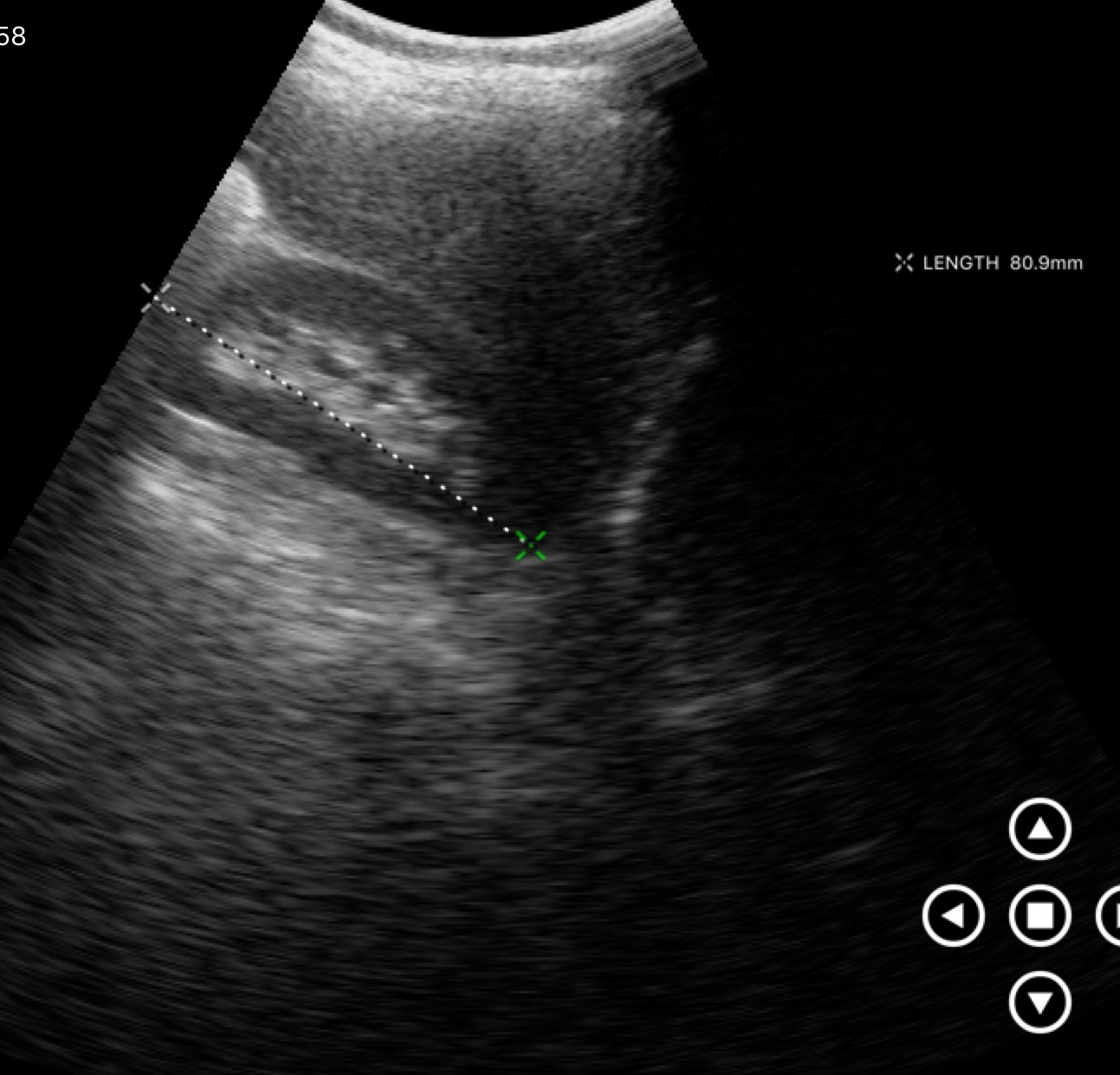
Genitourinary ultrasound.